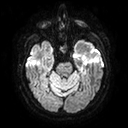
3 Tesla brain MRI. Series: diffusion tensor imaging (medium iso). Study: ring-enhancing brain masses.